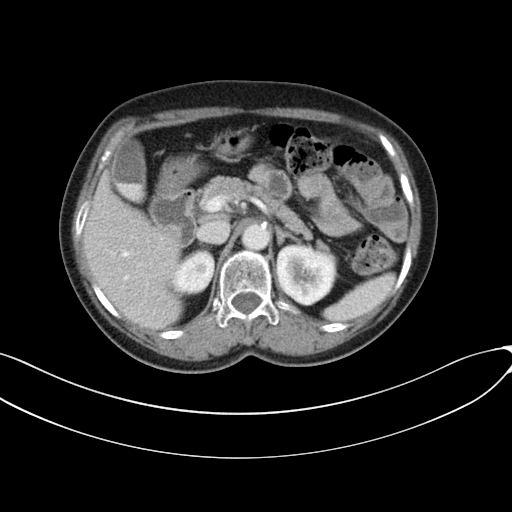
Summary: Multiphase abdominal CT, liver, portal venous phase. Patient: female, age 89. History: prior chemotherapy.